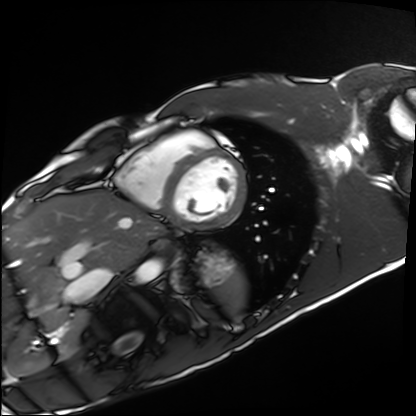
modality = cardiac MRI, subject group = healthy volunteer.